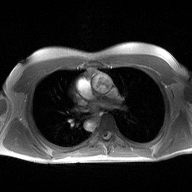
modality = 2D phase-contrast cine MRI of the ascending aorta.